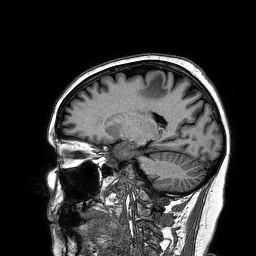
Case summary: 3 Tesla brain MRI. Series: 3D T1-weighted turbo field echo. Study: ring-enhancing brain masses.